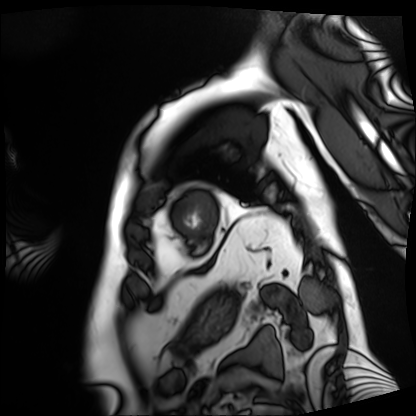
Summary:
Cardiac MRI. Subject group: patient.